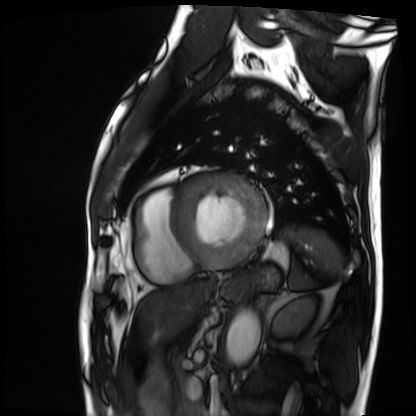
Clinical context: Cardiac MRI. Subject group: patient.